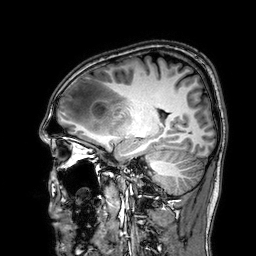
3 Tesla brain MRI. Series: 3D T1-weighted. Study: ring-enhancing brain masses.